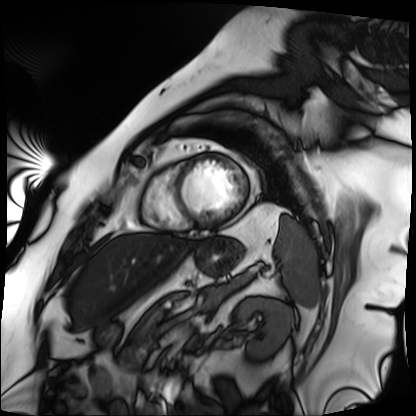
Cardiac MRI. Subject group: patient.